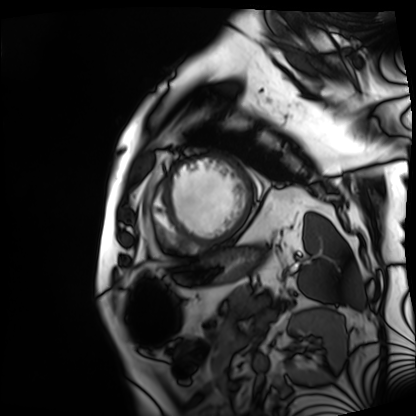
Clinical context: Cardiac MRI. Subject group: patient.